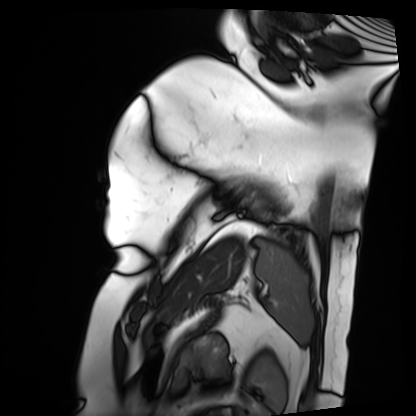
<record>
<modality>cardiac MRI</modality>
<cohort>patient</cohort>
</record>